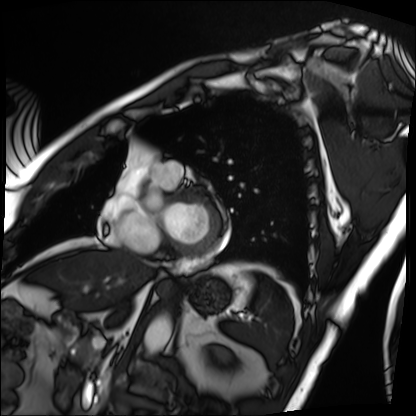
modality: cardiac MRI
subject group: patient